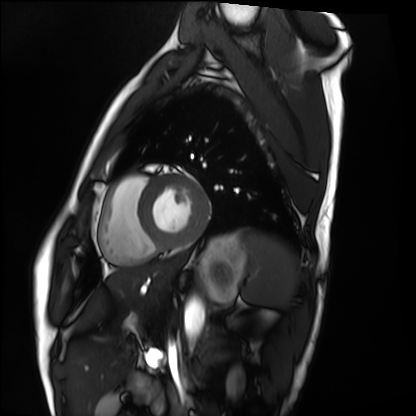
Cardiac MRI.
Subject group: healthy volunteer.